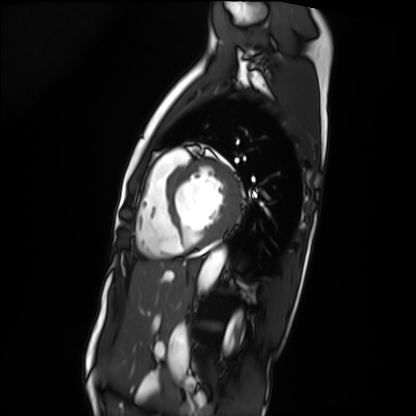
| field | value |
|---|---|
| modality | cardiac MRI |
| subject group | patient |